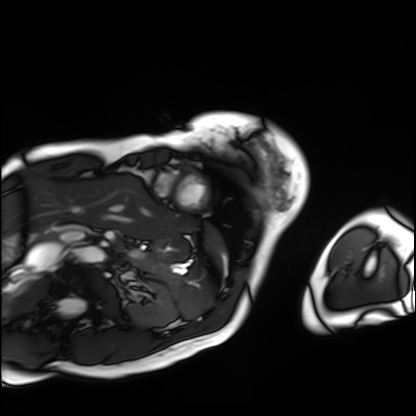
Cardiac MRI. Subject group: patient.